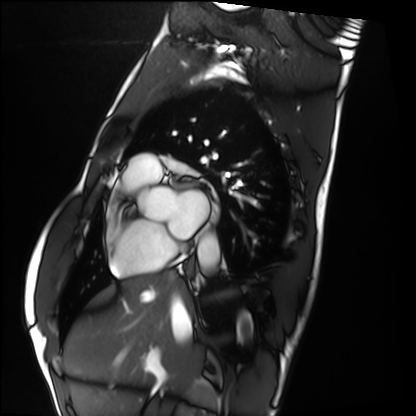
modality — cardiac MRI; subject group — healthy volunteer.